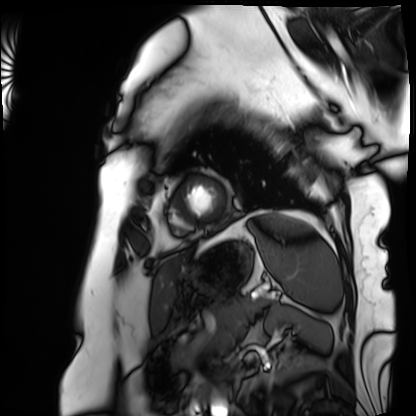
- modality: cardiac MRI
- subject group: patient